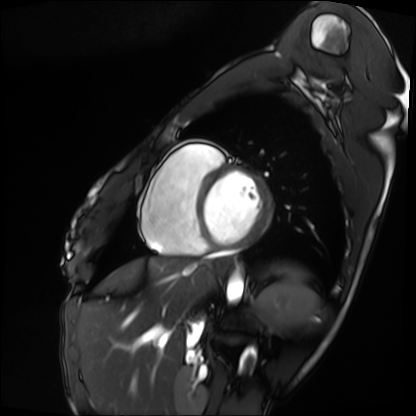
Cardiac MRI. Subject group: patient.